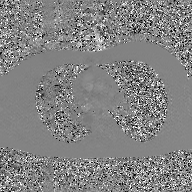
Q: What kind of scan is this?
A: 2D phase-contrast cine MRI of the ascending aorta, GAN super-resolution reconstruction.